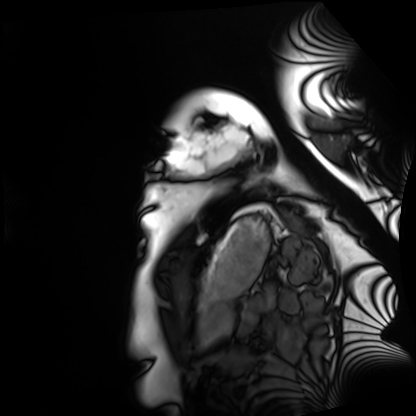
Q: What kind of scan is this?
A: Cardiac MRI.
Subject group: healthy volunteer.